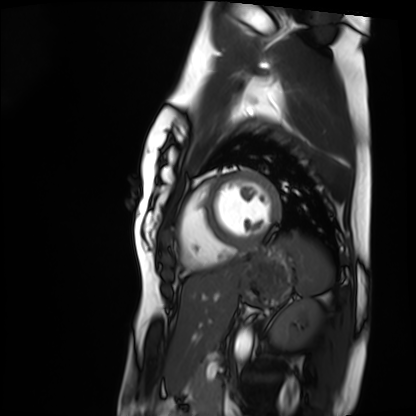
Cardiac MRI.
Subject group: healthy volunteer.